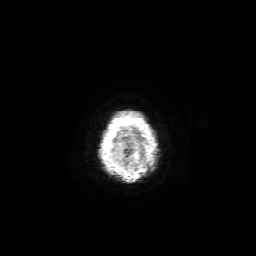
Q: What kind of scan is this?
A: 3 Tesla brain MRI.
Study: ring-enhancing brain masses.